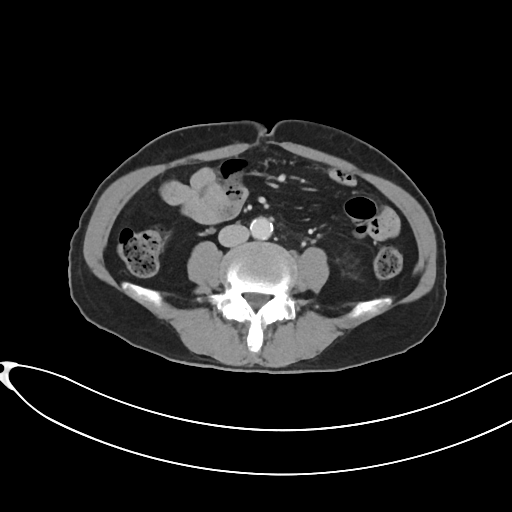
modality: multiphase abdominal CT, liver, portal venous phase | patient: female, age 65.